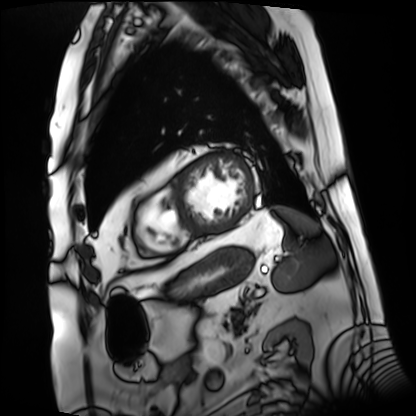
Case:
- modality — cardiac MRI
- subject group — patient